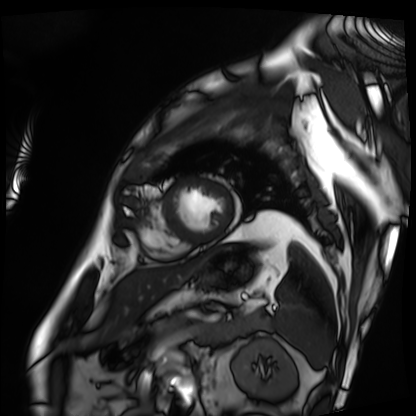
modality: cardiac MRI
cohort: patient